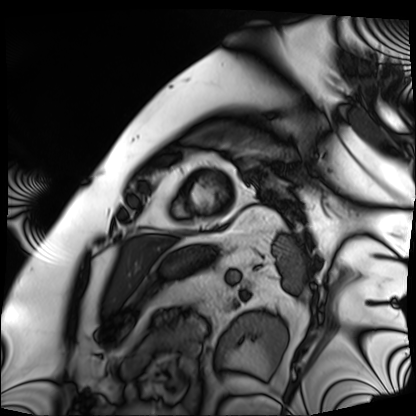
Q: What kind of scan is this?
A: Cardiac MRI.
Subject group: patient.